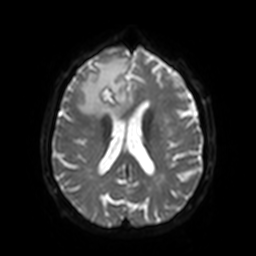
Q: What kind of scan is this?
A: 3 Tesla brain MRI.
Q: Series?
A: Diffusion-weighted imaging with SENSE (WIP).
Study: ring-enhancing brain masses.